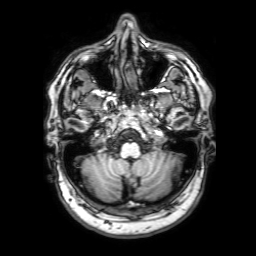
Case summary: 3 Tesla brain MRI. Series: 3D T1-weighted with SENSE. Study: ring-enhancing brain masses.